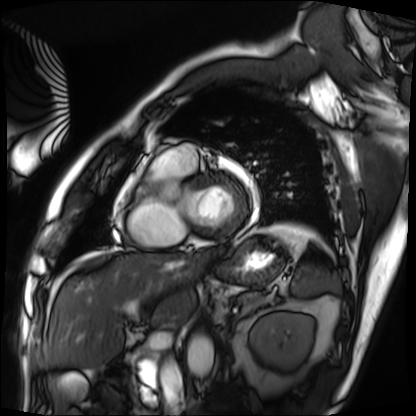
Cardiac MRI.
Subject group: patient.